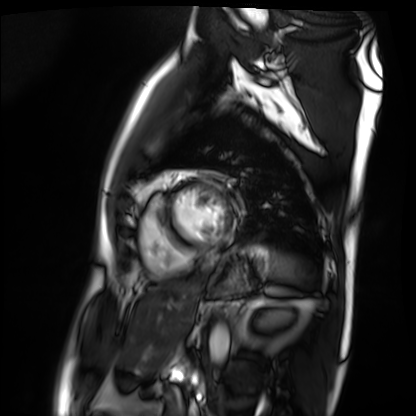
Case summary:
Cardiac MRI. Subject group: patient.